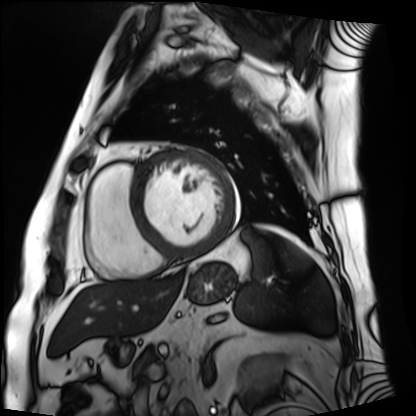
Summary: Cardiac MRI. Subject group: patient.